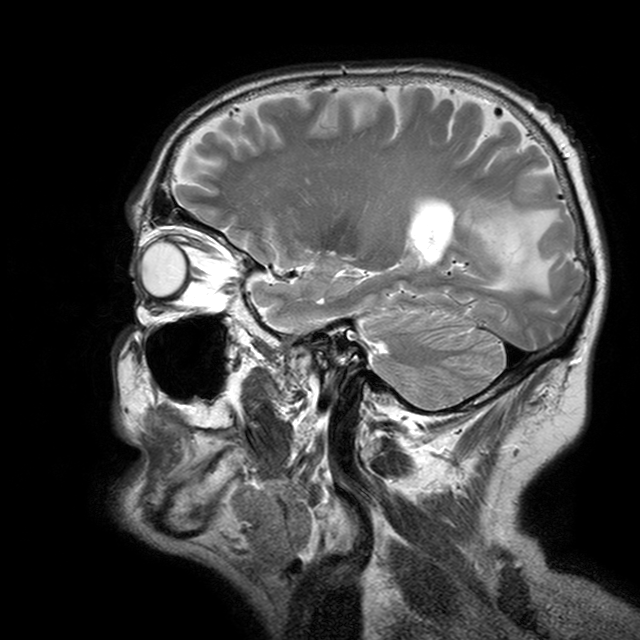
modality: 3 Tesla brain MRI | study: ring-enhancing brain masses.